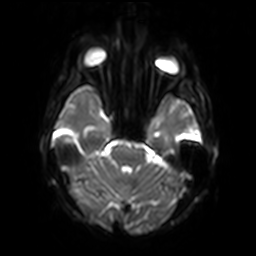
• modality · 3 Tesla brain MRI
• study · ring-enhancing brain masses